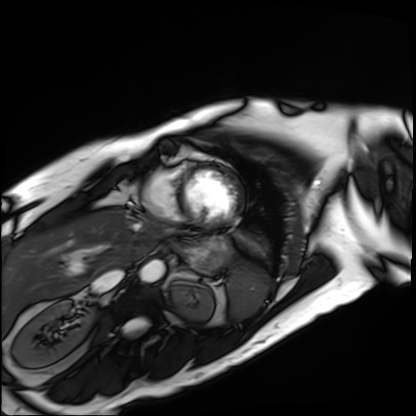
Clinical context:
Cardiac MRI. Subject group: patient.